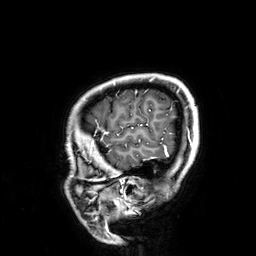
3 Tesla brain MRI.
Series: 3D T1-weighted.
Study: ring-enhancing brain masses.